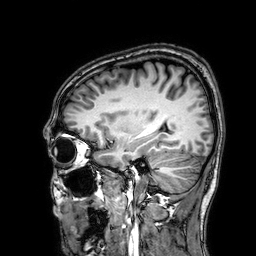
Case:
– modality: 3 Tesla brain MRI
– series: 3D T1-weighted
– study: ring-enhancing brain masses